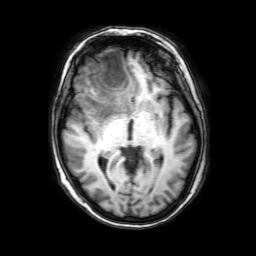
modality: 3 Tesla brain MRI
series: 3D T1-weighted with SENSE
study: ring-enhancing brain masses